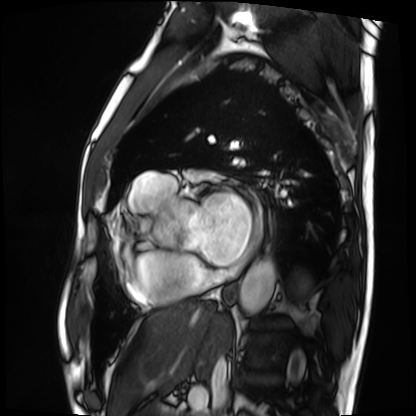
modality = cardiac MRI, subject group = patient.